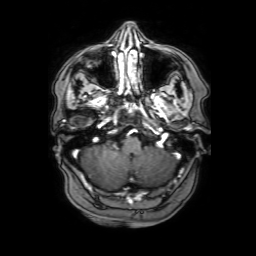
Q: What kind of scan is this?
A: 3 Tesla brain MRI.
Q: Series?
A: 3D T1-weighted with SENSE.
Study: ring-enhancing brain masses.